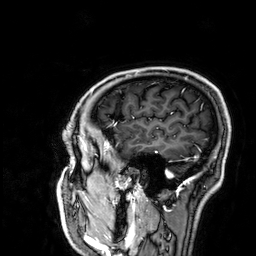
modality: 3 Tesla brain MRI | series: 3D T1-weighted | study: ring-enhancing brain masses.